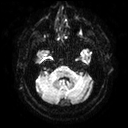
3 Tesla brain MRI.
Series: diffusion tensor imaging (medium iso).
Study: ring-enhancing brain masses.